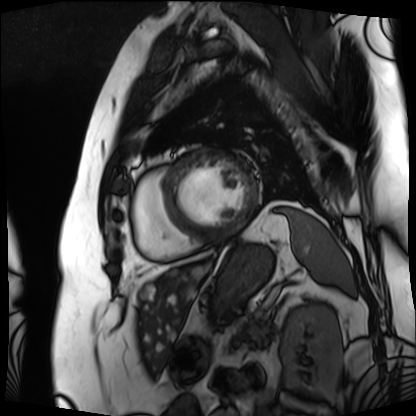
Summary:
Cardiac MRI. Subject group: patient.